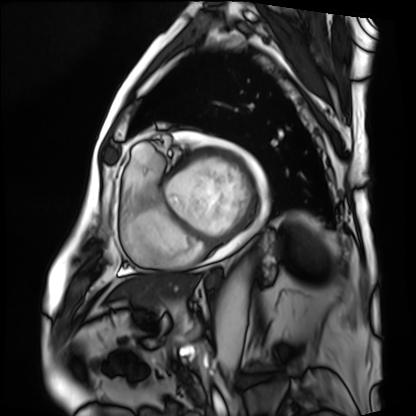
Case:
- modality · cardiac MRI
- subject group · patient